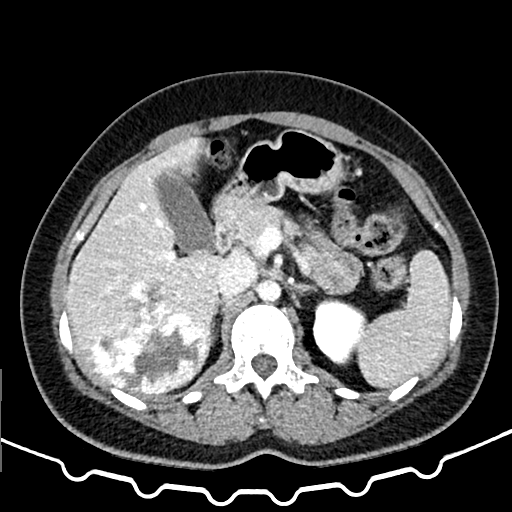
Clinical context: Multiphase abdominal CT, liver, delayed phase. Patient: female, age 37.